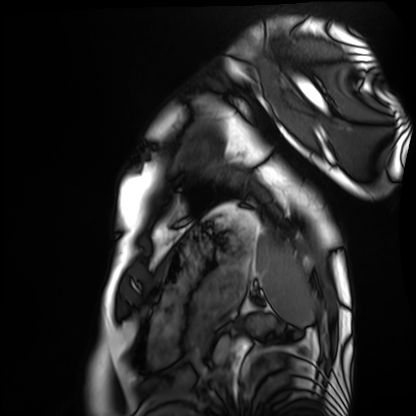
modality: cardiac MRI; subject group: healthy volunteer.